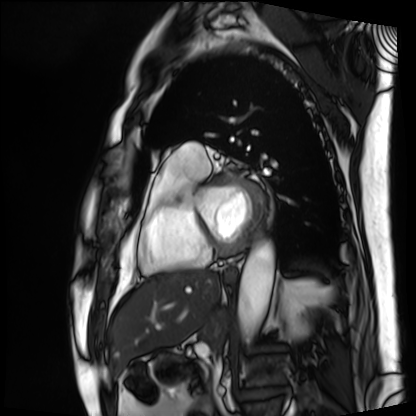
modality: cardiac MRI
cohort: patient